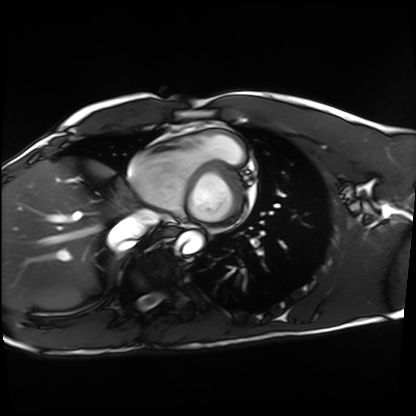
Cardiac MRI. Subject group: healthy volunteer.